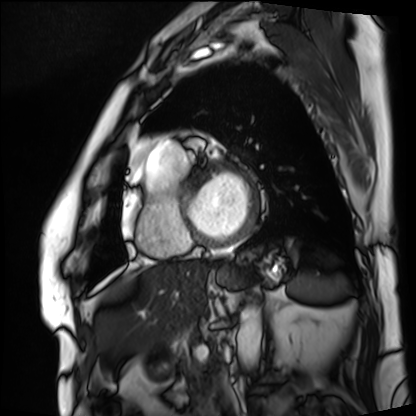
Cardiac MRI. Subject group: patient.